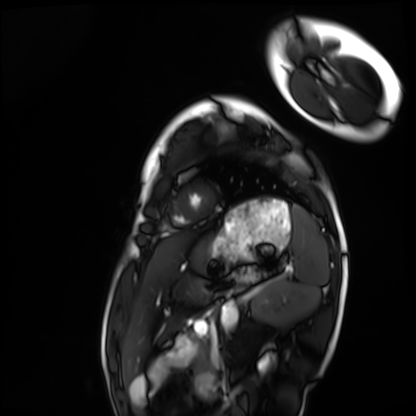
<record>
<modality>cardiac MRI</modality>
<cohort>healthy volunteer</cohort>
</record>